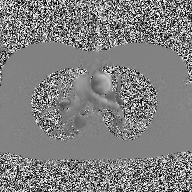
Summary:
2D phase-contrast cine MRI of the ascending aorta, high-resolution GRAPPA acquisition.